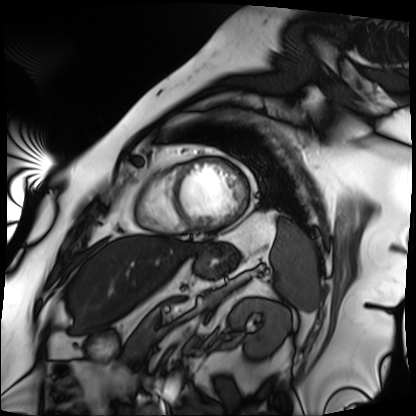
Cardiac MRI. Subject group: patient.